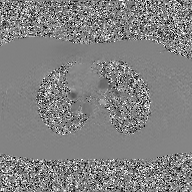
Summary: 2D phase-contrast cine MRI of the ascending aorta, GAN super-resolution reconstruction.